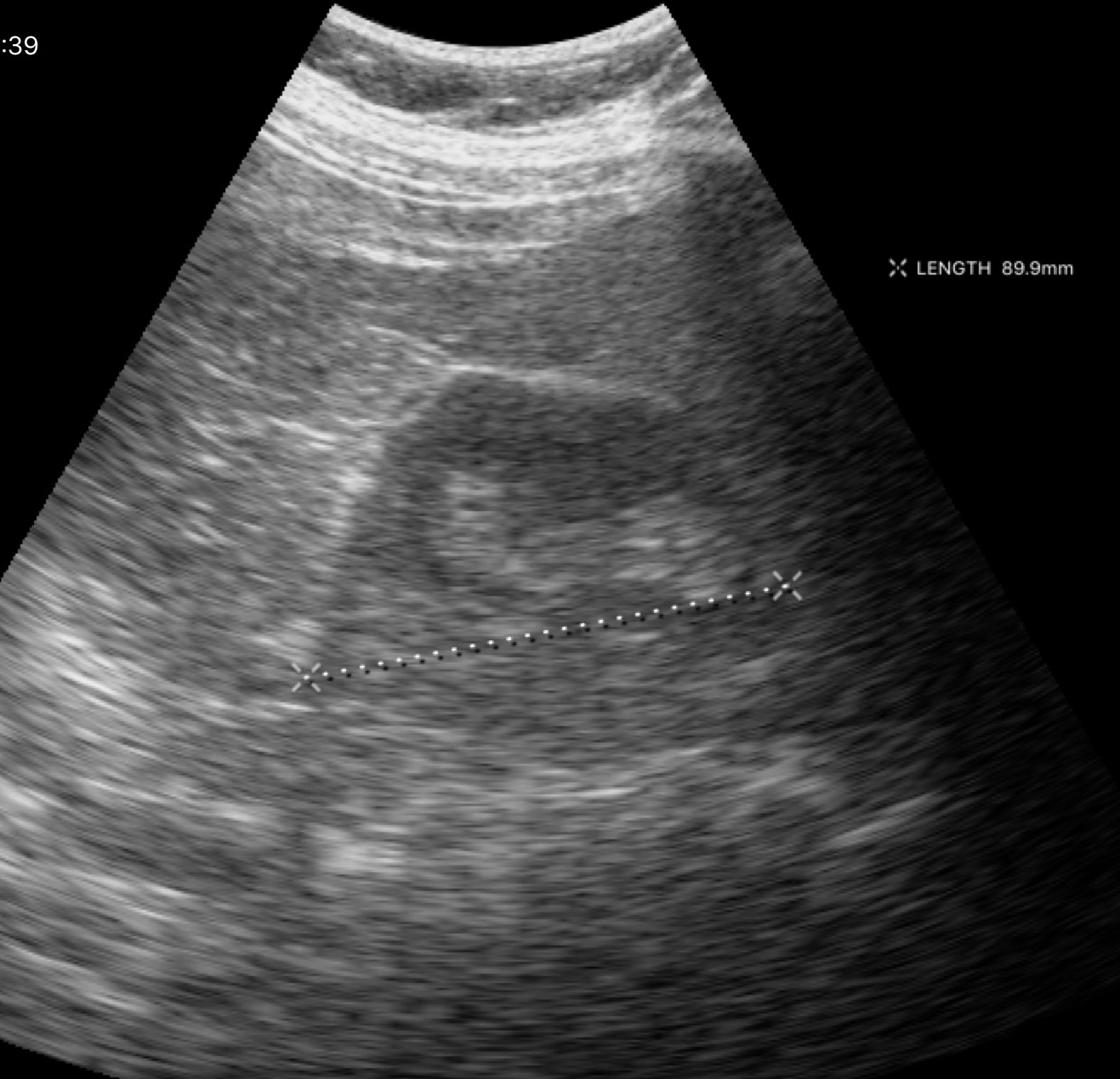
modality=genitourinary ultrasound.